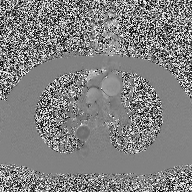
Summary:
2D phase-contrast cine MRI of the ascending aorta, high-resolution GRAPPA acquisition.